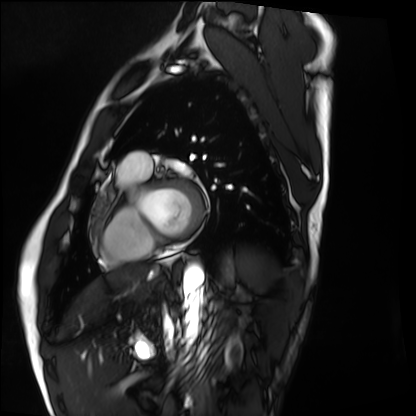
Cardiac MRI. Subject group: healthy volunteer.